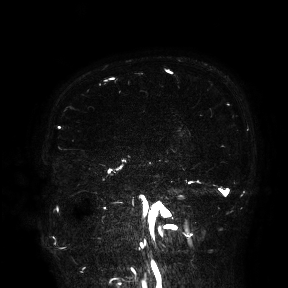
modality: 3 Tesla brain MRI | study: ring-enhancing brain masses.